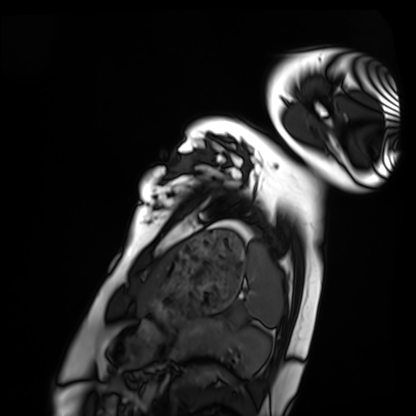
Cardiac MRI.
Subject group: healthy volunteer.